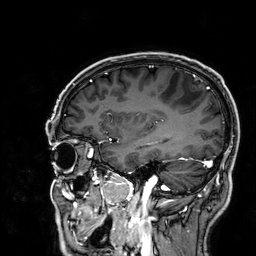
modality: 3 Tesla brain MRI; series: 3D T1-weighted; study: ring-enhancing brain masses.